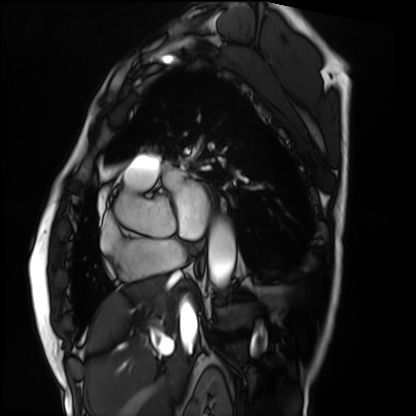
Cardiac MRI. Subject group: patient.